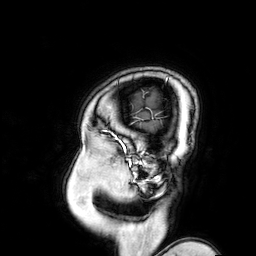
Q: What kind of scan is this?
A: 3 Tesla brain MRI.
Q: Series?
A: 3D T1-weighted turbo field echo with SENSE.
Study: ring-enhancing brain masses.